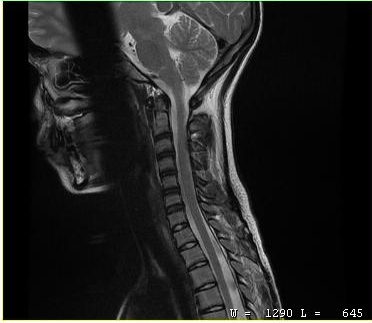
| field | value |
|---|---|
| modality | MRI of the cervical spine |
| study | cervical spondylosis |